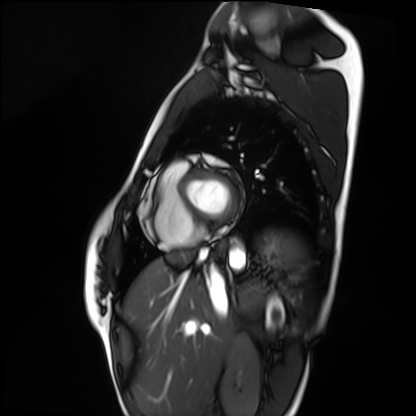
Cardiac MRI.
Subject group: healthy volunteer.